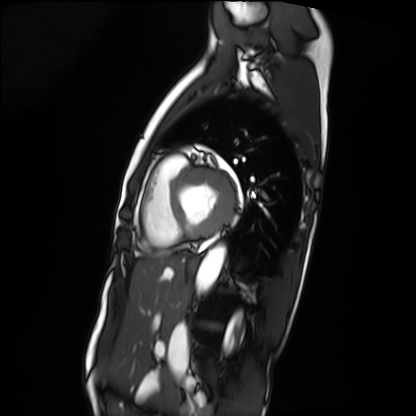
Case summary: Cardiac MRI. Subject group: patient.